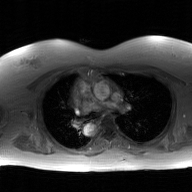
2D phase-contrast cine MRI of the ascending aorta, GAN super-resolution reconstruction.